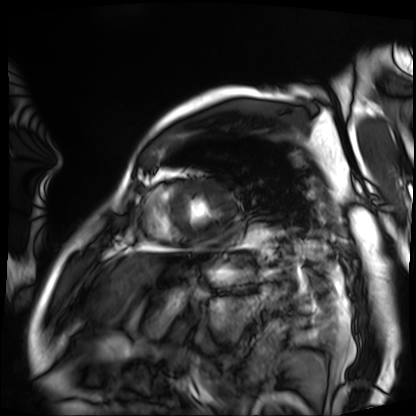
Summary:
Cardiac MRI. Subject group: patient.